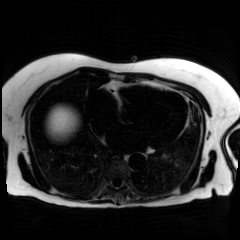
Q: What kind of scan is this?
A: Chemical-shift-encoded cardiac MRI.